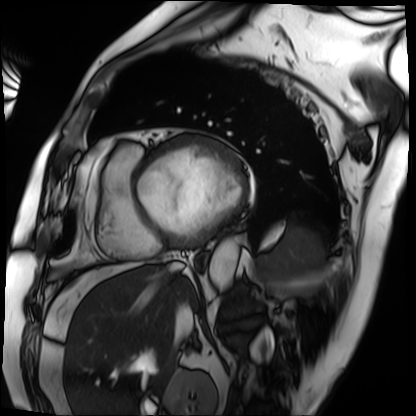
Q: What kind of scan is this?
A: Cardiac MRI.
Subject group: patient.